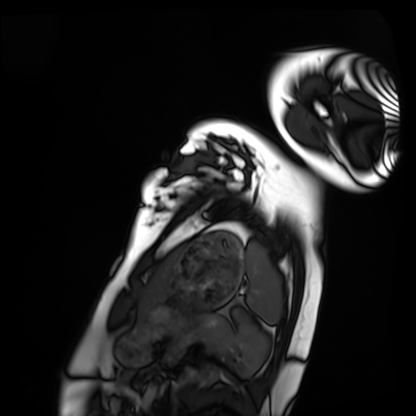
Clinical context:
Cardiac MRI. Subject group: healthy volunteer.